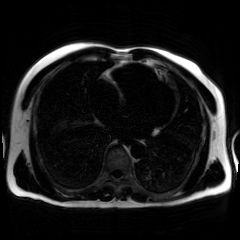
Case summary: Chemical-shift-encoded cardiac MRI.